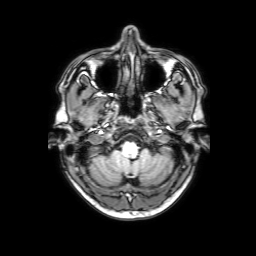
Case:
* modality: 3 Tesla brain MRI
* series: 3D T1-weighted with SENSE
* study: ring-enhancing brain masses